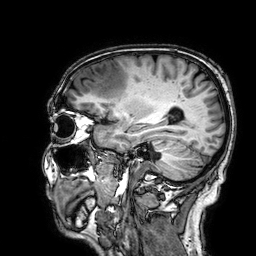
<record>
  <modality>
    <type>brain MRI</type>
    <field_strength>3T</field_strength>
  </modality>
  <series>3D T1-weighted</series>
  <study_topic>ring-enhancing brain masses</study_topic>
</record>